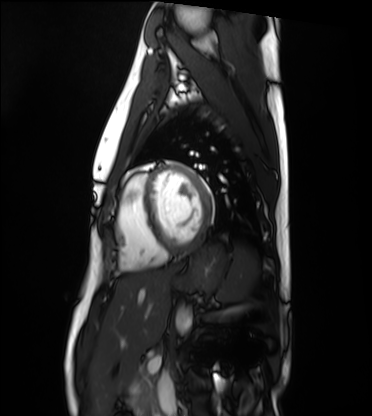
modality = cardiac MRI, subject group = healthy volunteer.